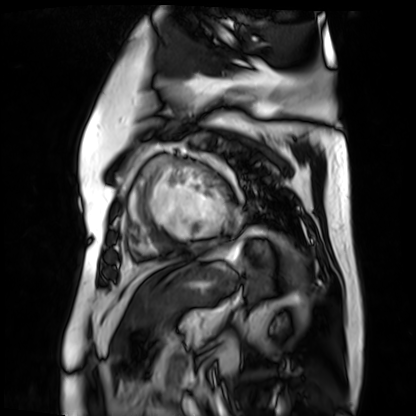
modality=cardiac MR image of the myocardium | subject cohort=cardiac patient.